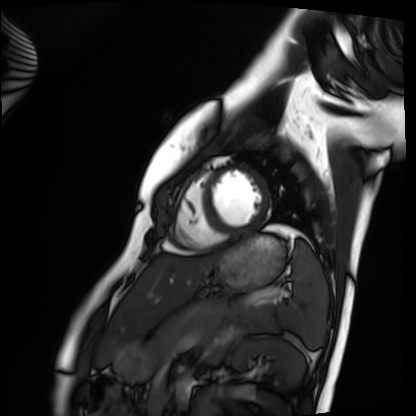
modality: cardiac MRI | subject group: healthy volunteer.